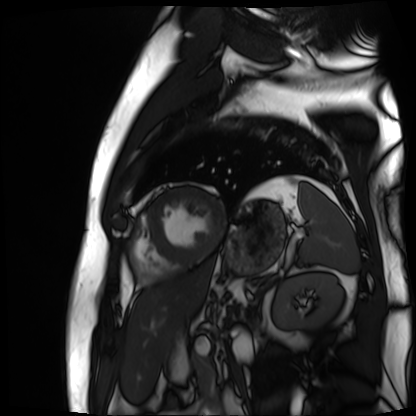
Cardiac MR image of the myocardium. Subject cohort: cardiac patient.